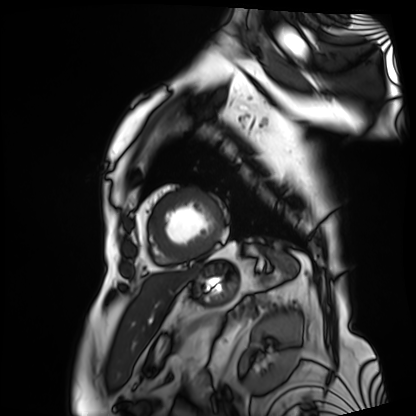
Cardiac MRI.
Subject group: patient.